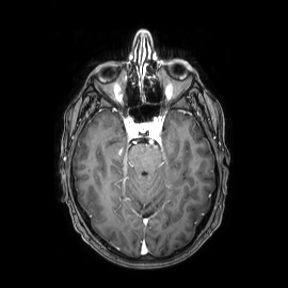
modality:
  type: brain MRI
  field_strength: 3T
study_topic: ring-enhancing brain masses